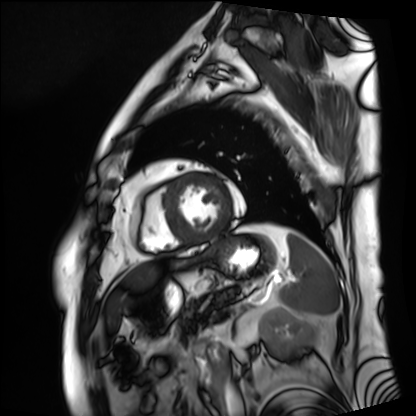
Cardiac MRI. Subject group: patient.